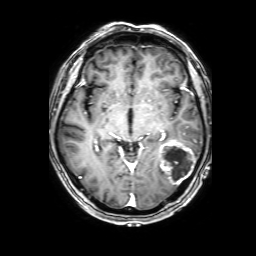
Case:
– modality: 3 Tesla brain MRI
– series: 3D T1-weighted with SENSE
– study: ring-enhancing brain masses